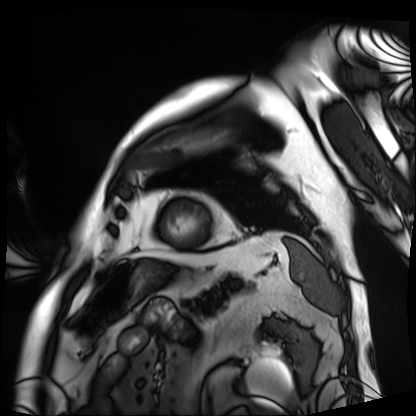
• modality · cardiac MRI
• subject group · patient